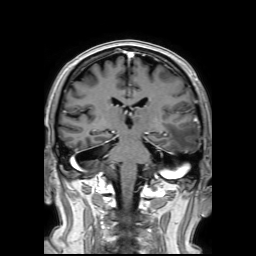
{"modality": {"type": "brain MRI", "field_strength": "3T"}, "series": "3D T1-weighted TFE with SENSE", "study_topic": "ring-enhancing brain masses"}